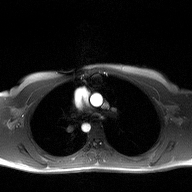
{
  "modality": {
    "type": "2D phase-contrast cine MRI",
    "region": "ascending aorta",
    "reconstruction": "high-resolution GRAPPA acquisition"
  }
}